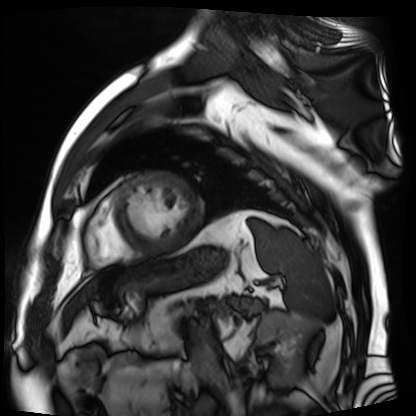
| field | value |
|---|---|
| modality | cardiac MR image of the myocardium |
| subject cohort | cardiac patient |